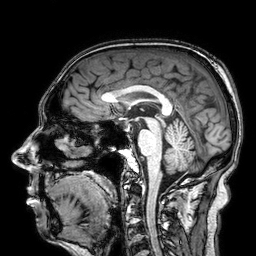
- modality — 3 Tesla brain MRI
- study — ring-enhancing brain masses